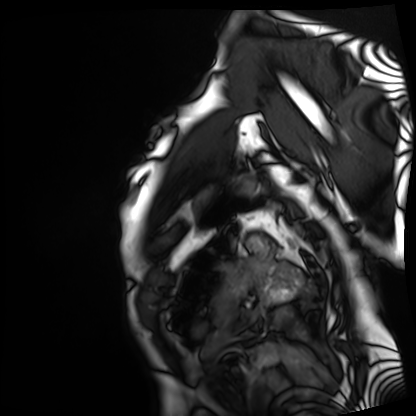
modality = cardiac MRI
subject group = patient